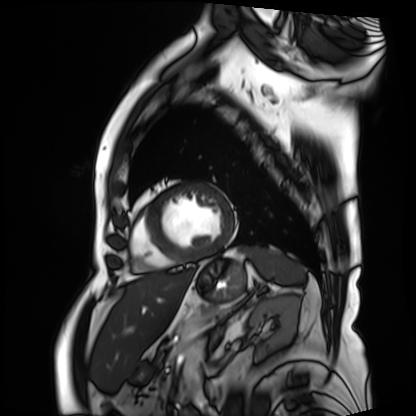
modality: cardiac MRI; subject group: patient.